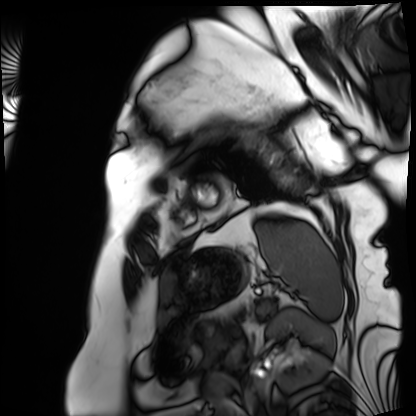
{
  "modality": "cardiac MRI",
  "cohort": "patient"
}